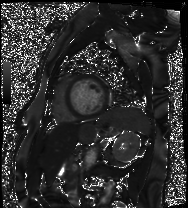
Q: What kind of scan is this?
A: Cardiac MRI.
Subject group: patient.